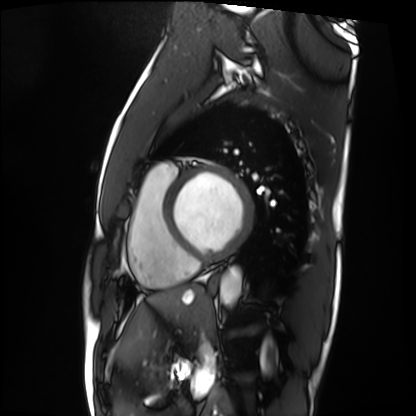
Cardiac MRI.
Subject group: patient.